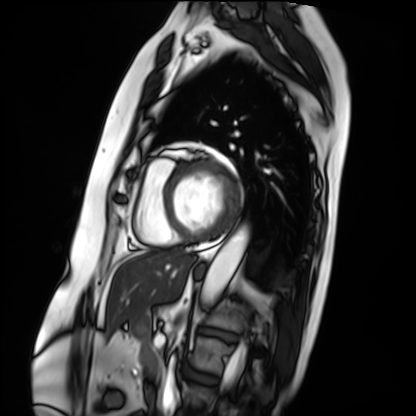
modality: cardiac MRI; subject group: patient.